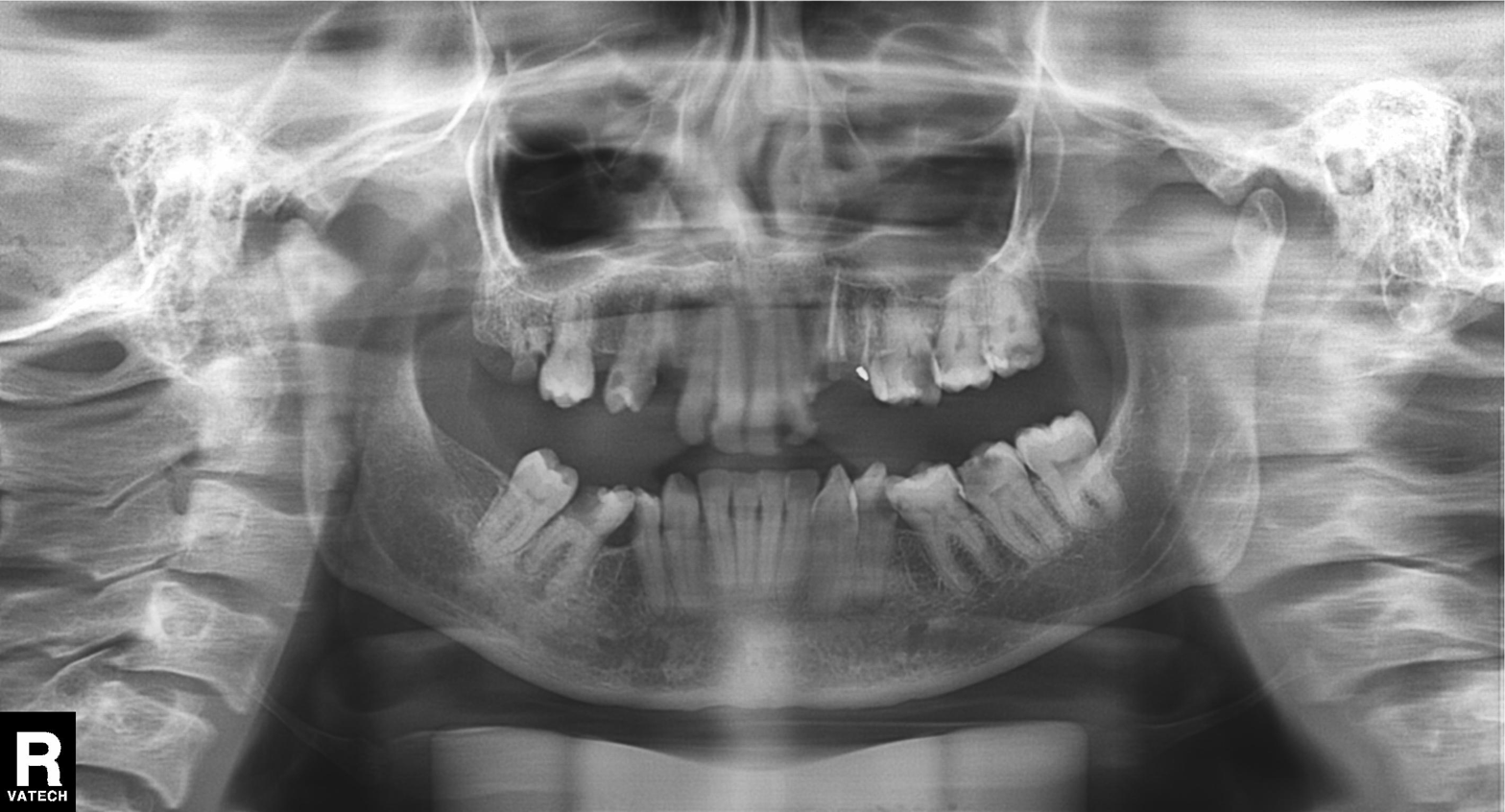
Summary: Panoramic dental radiograph (orthopantomogram).
Conclusion: Alveolar bone loss.